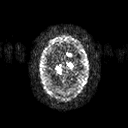
{
  "modality": {
    "type": "brain MRI",
    "field_strength": "3T"
  },
  "series": "diffusion tensor imaging (medium iso)",
  "study_topic": "ring-enhancing brain masses"
}